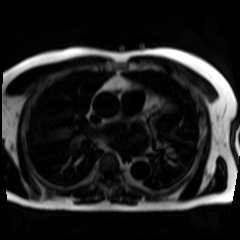
Summary: Chemical-shift-encoded cardiac MRI.